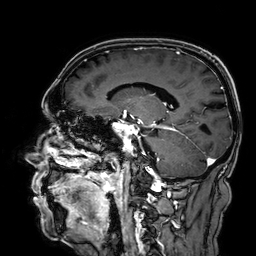
modality: 3 Tesla brain MRI | series: 3D T1-weighted | study: ring-enhancing brain masses.